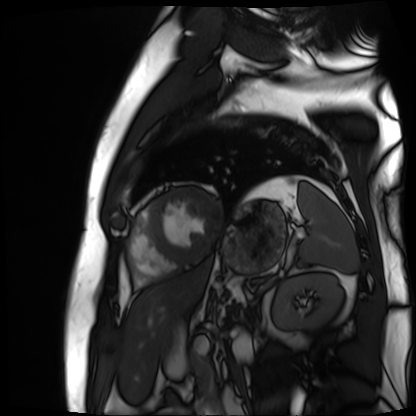
modality = cardiac MR image of the myocardium; subject cohort = cardiac patient.